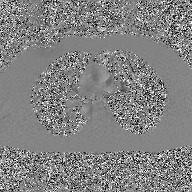
{
  "modality": {
    "type": "2D phase-contrast cine MRI",
    "region": "ascending aorta",
    "reconstruction": "GAN super-resolution reconstruction"
  }
}